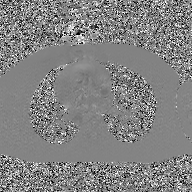
modality=2D phase-contrast cine MRI of the ascending aorta, GAN super-resolution reconstruction.